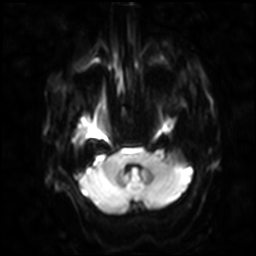
3 Tesla brain MRI.
Series: diffusion-weighted imaging with SENSE (WIP).
Study: ring-enhancing brain masses.